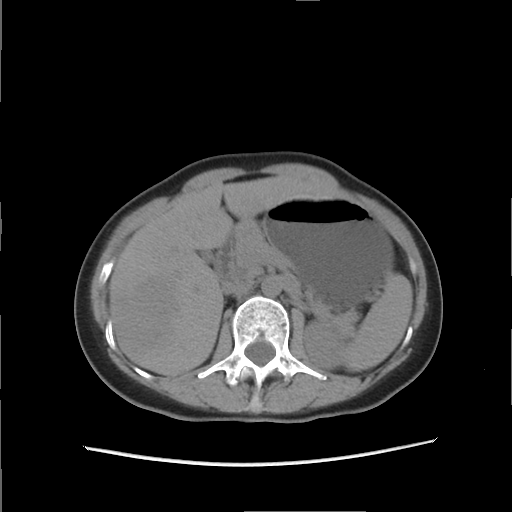
Summary: Multiphase abdominal CT, liver, non-contrast phase. Patient: female, age 51.